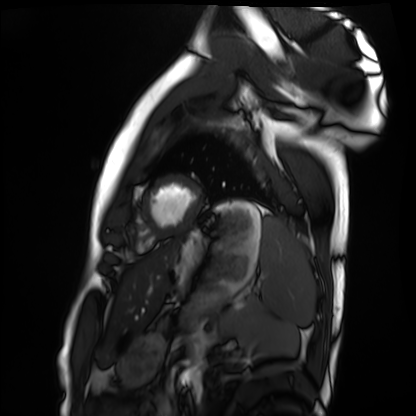
Cardiac MRI. Subject group: healthy volunteer.